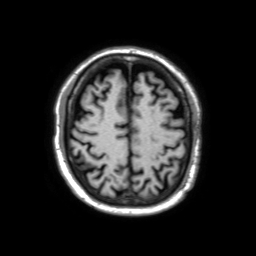
– modality: 3 Tesla brain MRI
– series: 3D T1-weighted TFE with SENSE
– study: ring-enhancing brain masses